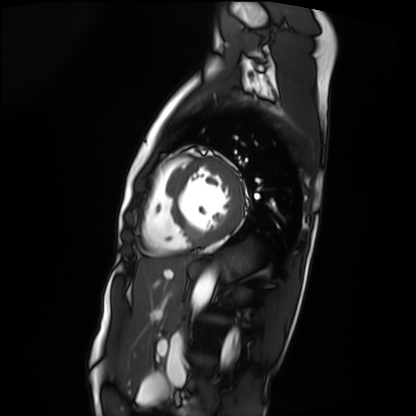
Cardiac MRI. Subject group: patient.